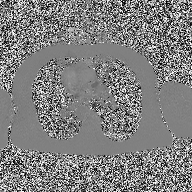
{
  "modality": {
    "type": "2D phase-contrast cine MRI",
    "region": "ascending aorta",
    "reconstruction": "high-resolution GRAPPA acquisition"
  }
}